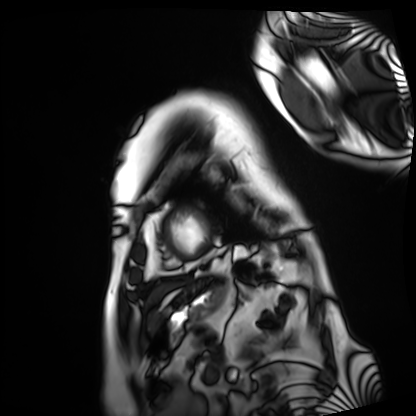
Summary:
Cardiac MRI. Subject group: patient.